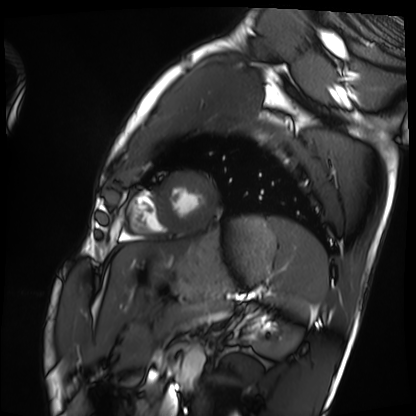
Cardiac MRI. Subject group: healthy volunteer.